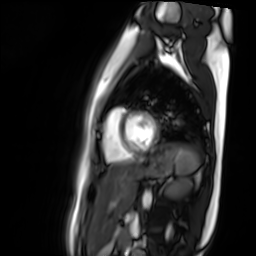
modality: cardiac MR image of the myocardium
cohort: healthy volunteer